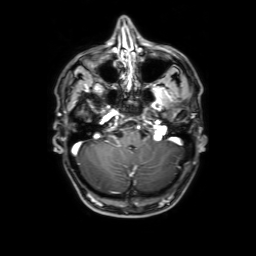
Q: What kind of scan is this?
A: 3 Tesla brain MRI.
Q: Series?
A: 3D T1-weighted with SENSE.
Study: ring-enhancing brain masses.